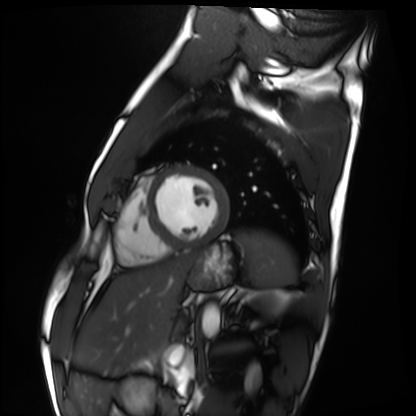
modality: cardiac MRI; subject group: healthy volunteer.